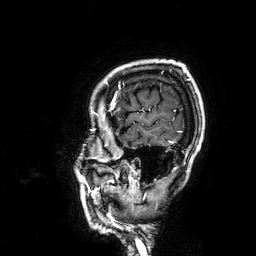
3 Tesla brain MRI. Series: 3D T1-weighted. Study: ring-enhancing brain masses.